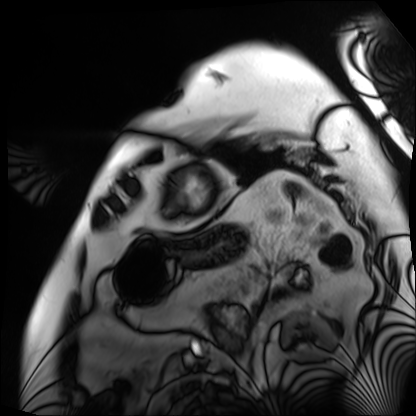
Cardiac MRI. Subject group: patient.